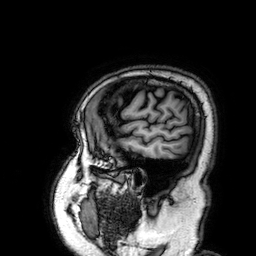
3 Tesla brain MRI.
Series: 3D T1-weighted.
Study: ring-enhancing brain masses.